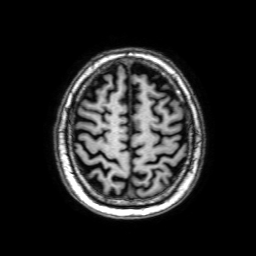
Summary:
3 Tesla brain MRI. Series: 3D T1-weighted with SENSE. Study: ring-enhancing brain masses.